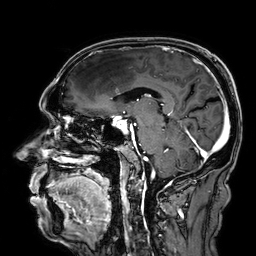
modality: 3 Tesla brain MRI | series: 3D T1-weighted | study: ring-enhancing brain masses.